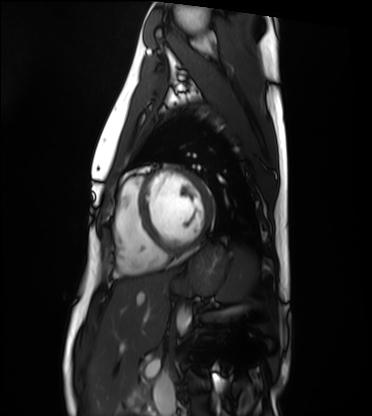
Cardiac MRI. Subject group: healthy volunteer.